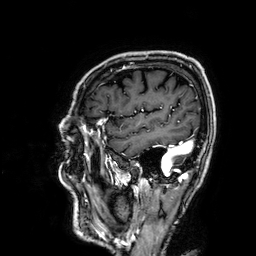
<scan>
<modality>
  <type>brain MRI</type>
  <field_strength>3T</field_strength>
</modality>
<series>3D T1-weighted</series>
<study_topic>ring-enhancing brain masses</study_topic>
</scan>